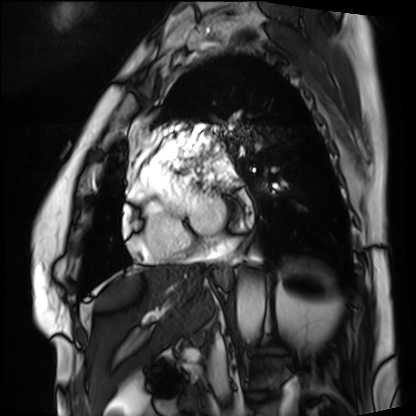
<record>
  <modality>cardiac MRI</modality>
  <cohort>patient</cohort>
</record>